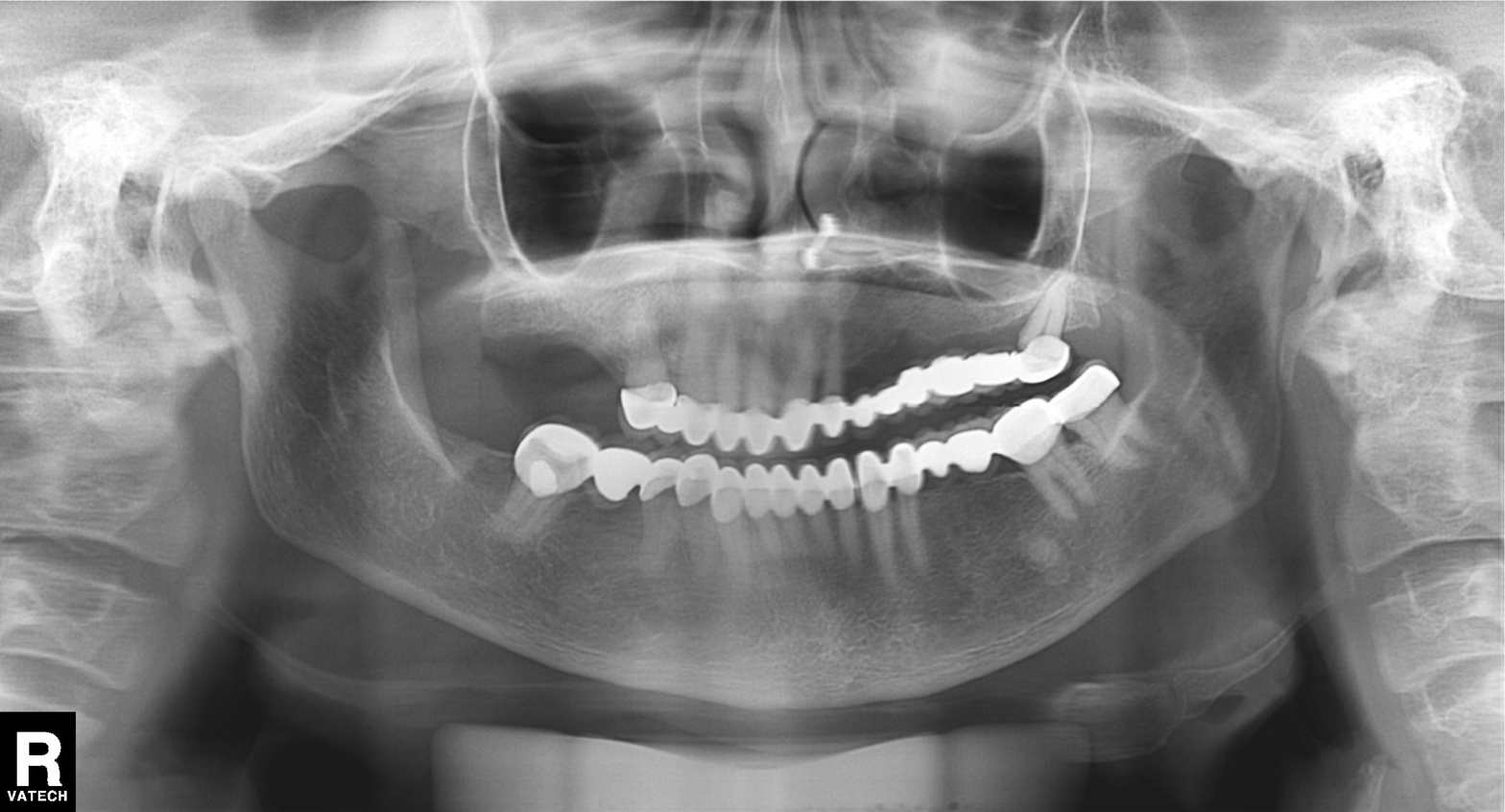
Panoramic dental radiograph (orthopantomogram). Finding: tooth impaction.